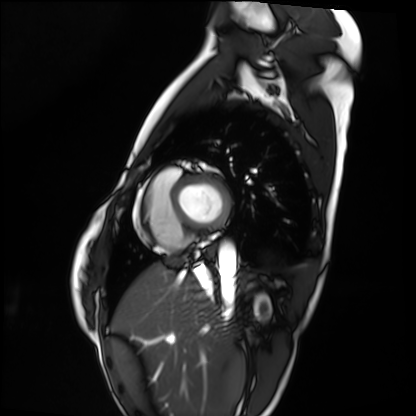
Cardiac MRI. Subject group: healthy volunteer.